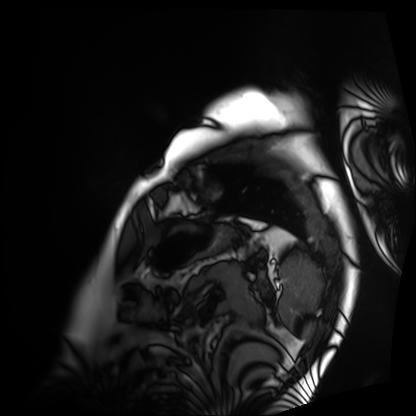
modality: cardiac MRI
cohort: patient